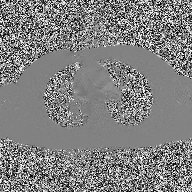
* modality — 2D phase-contrast cine MRI of the ascending aorta